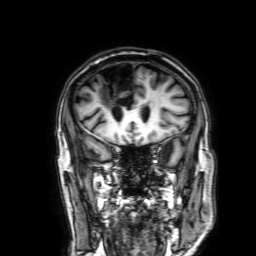
- modality: 3 Tesla brain MRI
- series: 3D T1-weighted with SENSE
- study: ring-enhancing brain masses